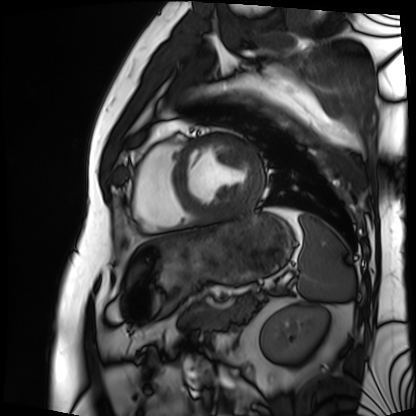
Cardiac MRI. Subject group: patient.